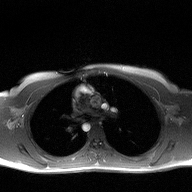
2D phase-contrast cine MRI of the ascending aorta, high-resolution GRAPPA acquisition.